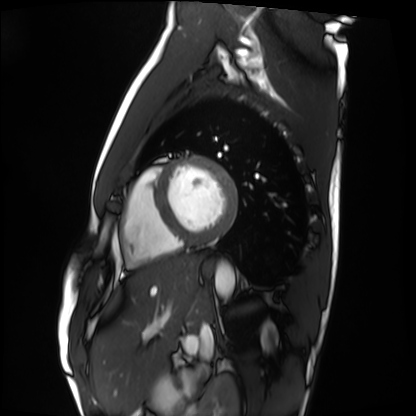
Summary:
Cardiac MRI. Subject group: healthy volunteer.